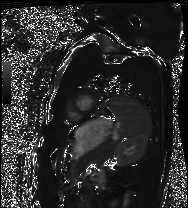
Cardiac MRI. Subject group: healthy volunteer.